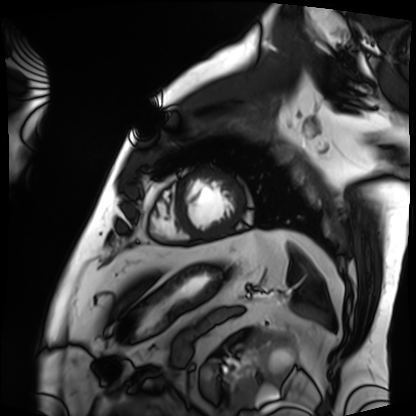
Q: What kind of scan is this?
A: Cardiac MRI.
Subject group: patient.